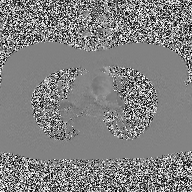
2D phase-contrast cine MRI of the ascending aorta, high-resolution GRAPPA acquisition.